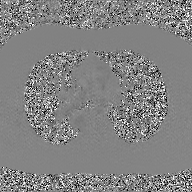
2D phase-contrast cine MRI of the ascending aorta, GAN super-resolution reconstruction.